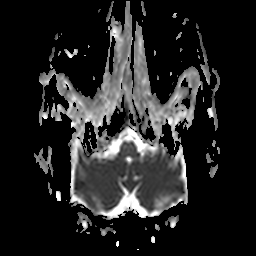
  modality:
    type: brain MRI
    field_strength: 3T
  series: apparent diffusion coefficient (ADC) map
  study_topic: ring-enhancing brain masses